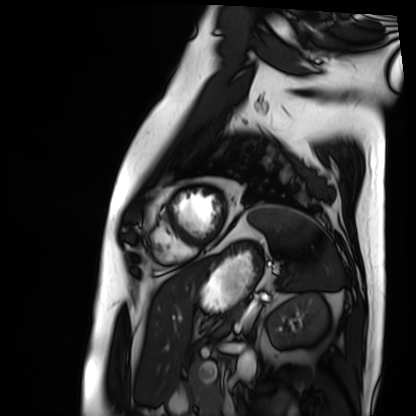
Cardiac MRI. Subject group: patient.